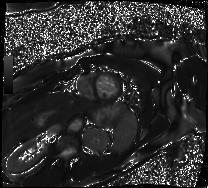
Case:
* modality · cardiac MRI
* subject group · patient